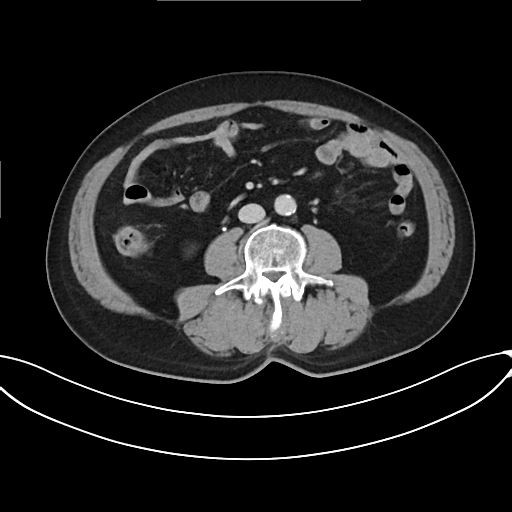
modality = multiphase abdominal CT, liver, delayed phase | patient = male, age 69.